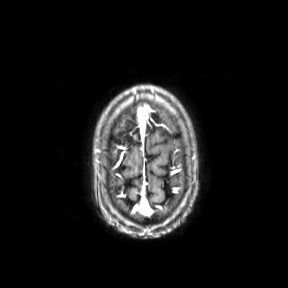
3 Tesla brain MRI. Series: axial. Study: ring-enhancing brain masses.